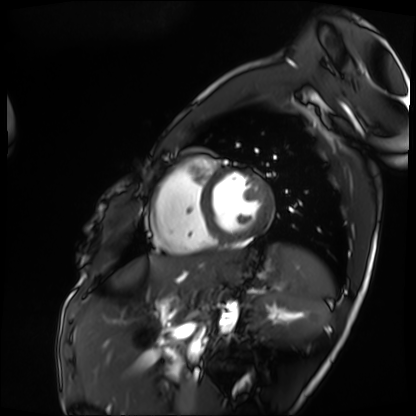
Cardiac MRI.
Subject group: patient.